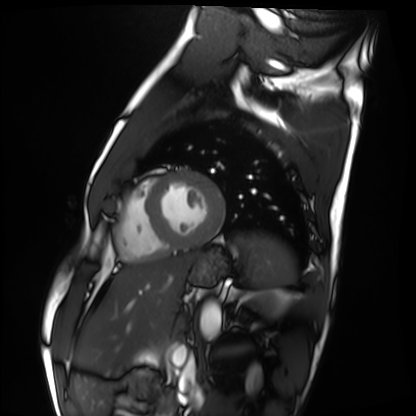
modality=cardiac MRI
subject group=healthy volunteer